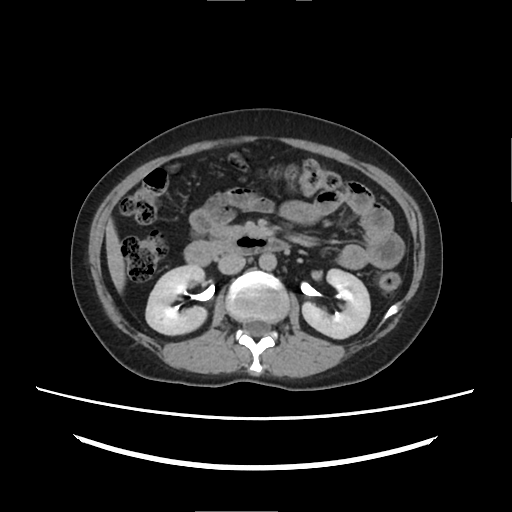
Multiphase abdominal CT, liver, delayed phase.
Patient: female, age 39.